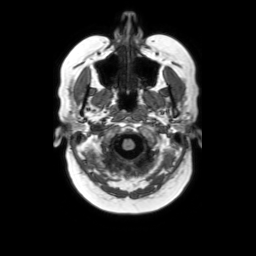
3 Tesla brain MRI. Series: axial without contrast. Study: ring-enhancing brain masses.